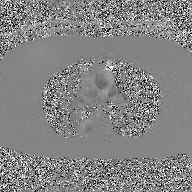
– modality · 2D phase-contrast cine MRI of the ascending aorta, GAN super-resolution reconstruction